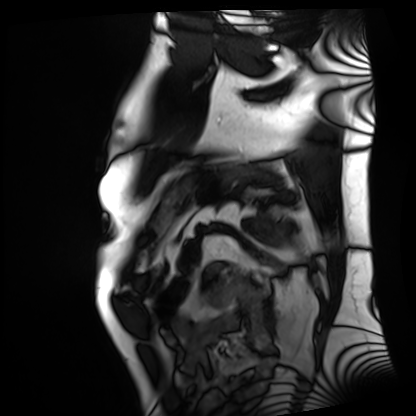
Cardiac MRI. Subject group: patient.